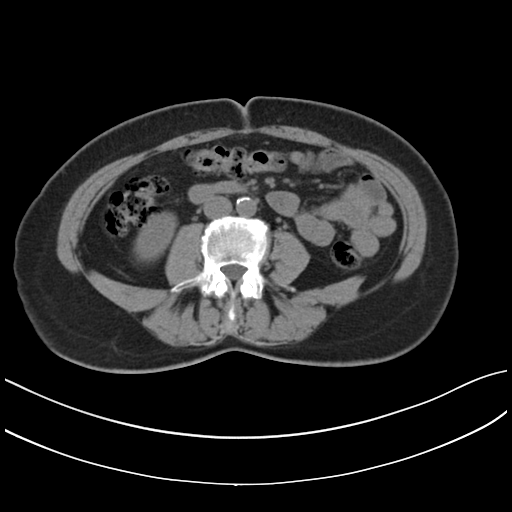
Multiphase abdominal CT, liver, non-contrast phase.
Patient: female, age 62.
History: prior chemotherapy.